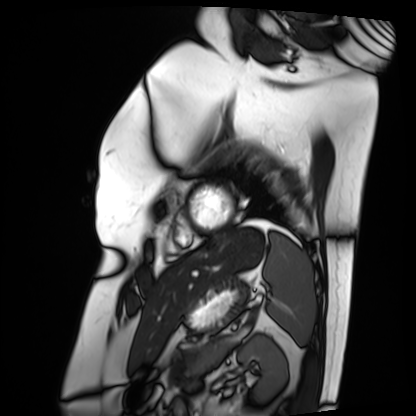
Cardiac MRI. Subject group: patient.